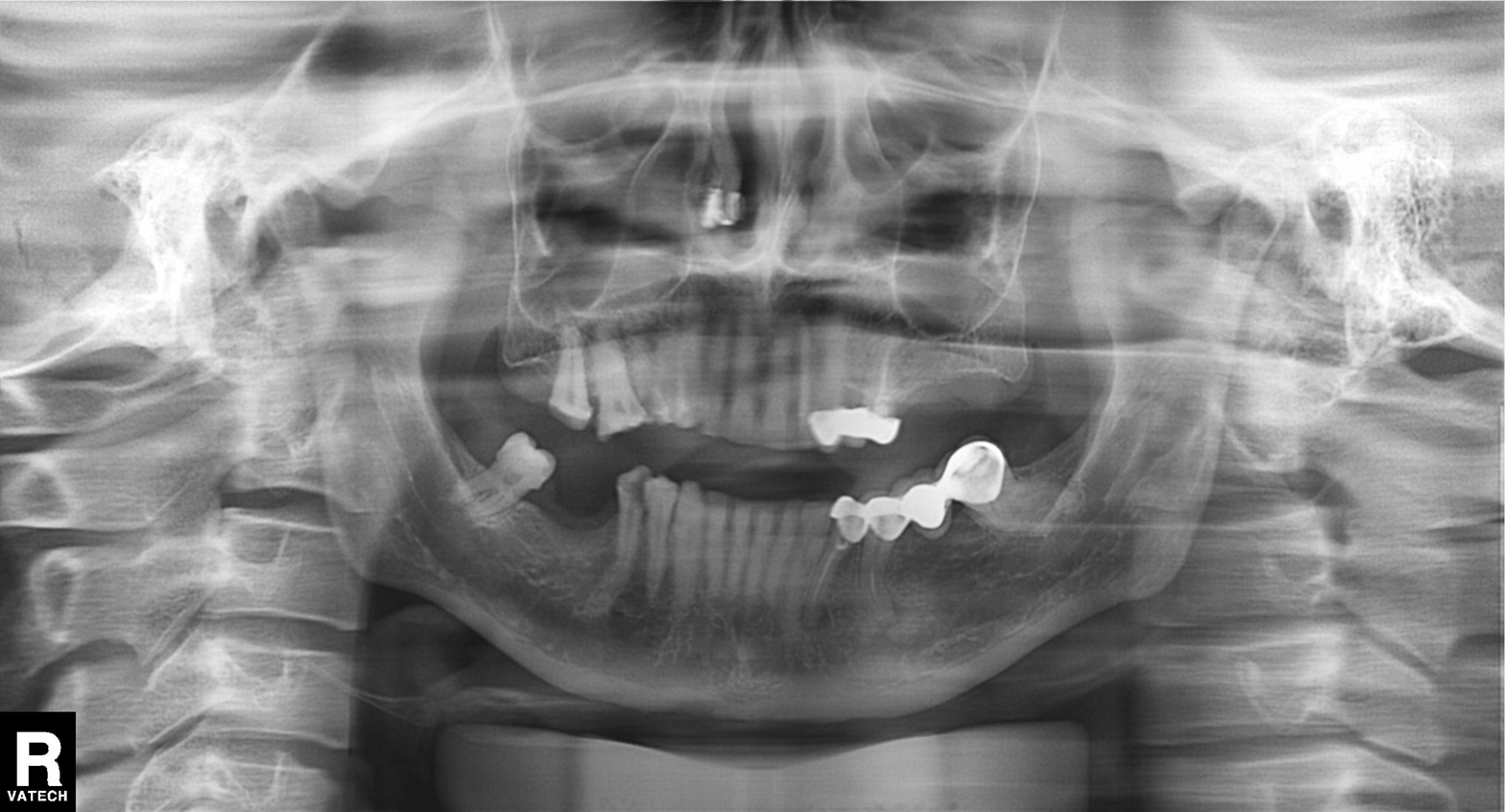
modality=panoramic dental radiograph (orthopantomogram)
finding=dental caries (cavities)